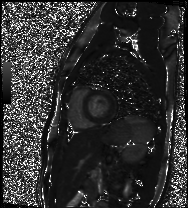
Q: What kind of scan is this?
A: Cardiac MR image of the myocardium.
Subject cohort: healthy volunteer.